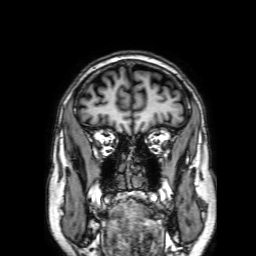
{
  "modality": {
    "type": "brain MRI",
    "field_strength": "3T"
  },
  "series": "3D T1-weighted with SENSE",
  "study_topic": "ring-enhancing brain masses"
}